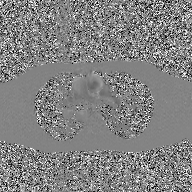
modality = 2D phase-contrast cine MRI of the ascending aorta, GAN super-resolution reconstruction.